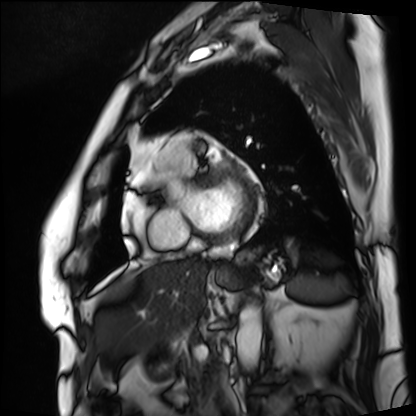
Cardiac MRI. Subject group: patient.